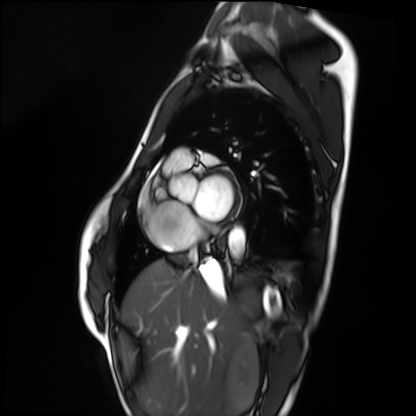
Cardiac MRI.
Subject group: healthy volunteer.